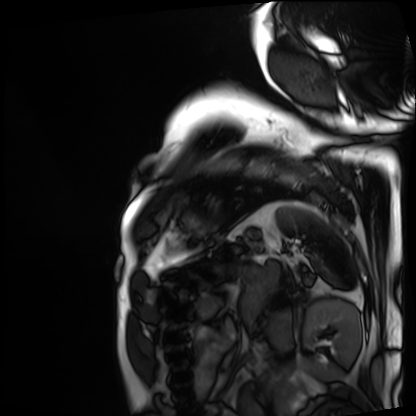
modality: cardiac MRI
subject group: patient